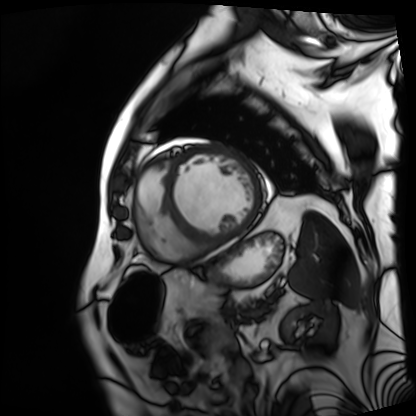
{
  "modality": "cardiac MRI",
  "cohort": "patient"
}